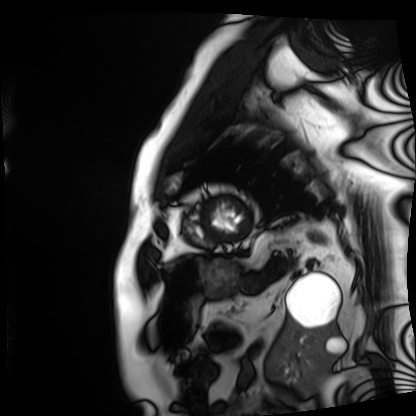
modality — cardiac MRI | subject group — patient.